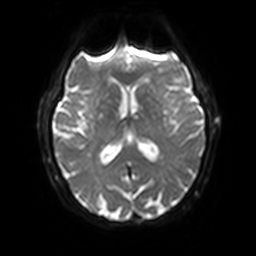
{
  "modality": {
    "type": "brain MRI",
    "field_strength": "3T"
  },
  "study_topic": "ring-enhancing brain masses"
}